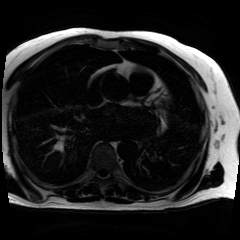
Clinical context: Chemical-shift-encoded cardiac MRI.